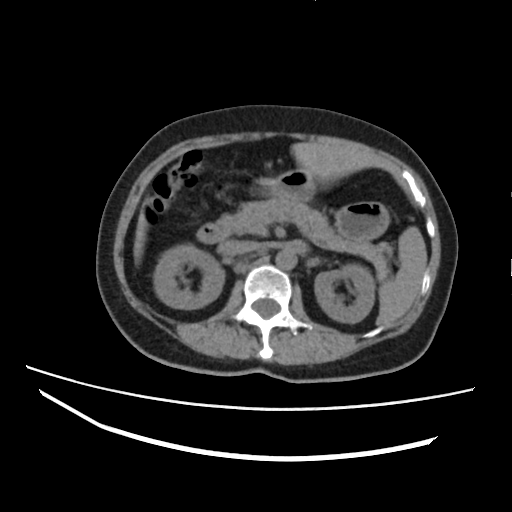
modality — multiphase abdominal CT, liver, non-contrast phase
patient — female, age 60